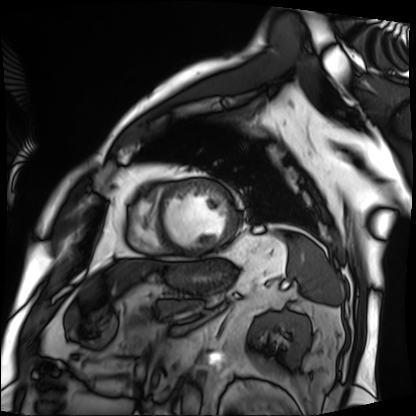
Cardiac MRI. Subject group: patient.